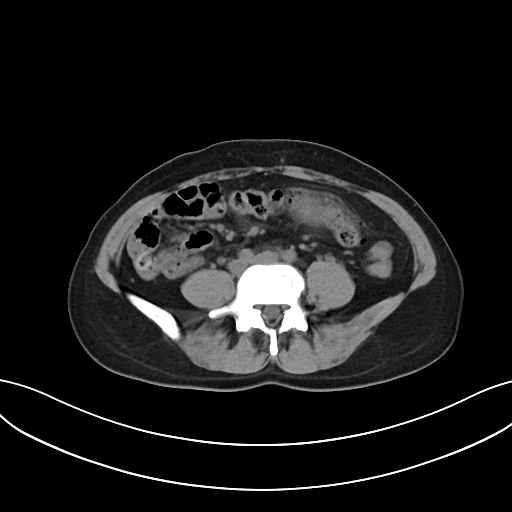
Multiphase abdominal CT, liver, non-contrast phase.
Patient: female, age 37.
History: prior chemotherapy.